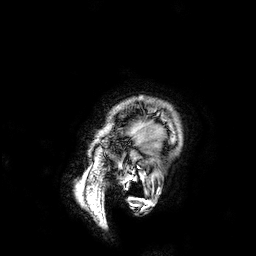
Case summary: 3 Tesla brain MRI. Series: 3D T1-weighted. Study: ring-enhancing brain masses.